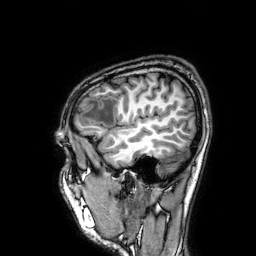
modality = 3 Tesla brain MRI | series = 3D T1-weighted | study = ring-enhancing brain masses.